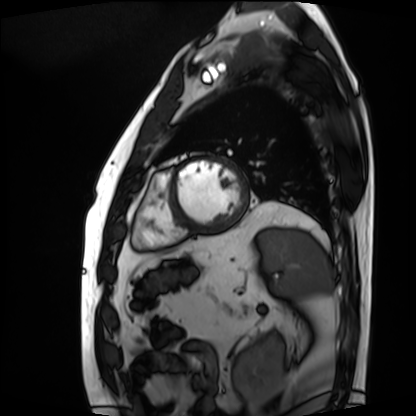
Clinical context: Cardiac MRI. Subject group: patient.